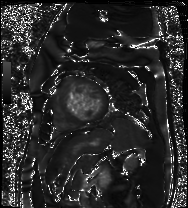
modality=cardiac MR image of the myocardium; subject cohort=cardiac patient.